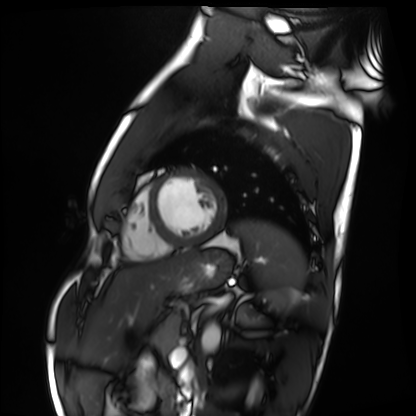
Cardiac MRI.
Subject group: healthy volunteer.